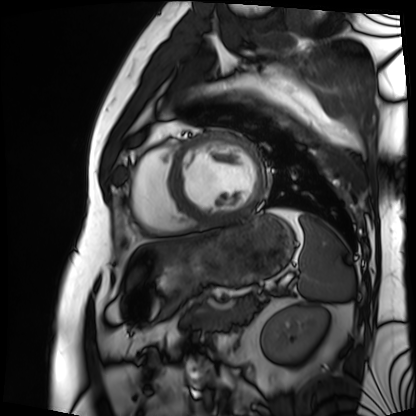
- modality — cardiac MRI
- subject group — patient